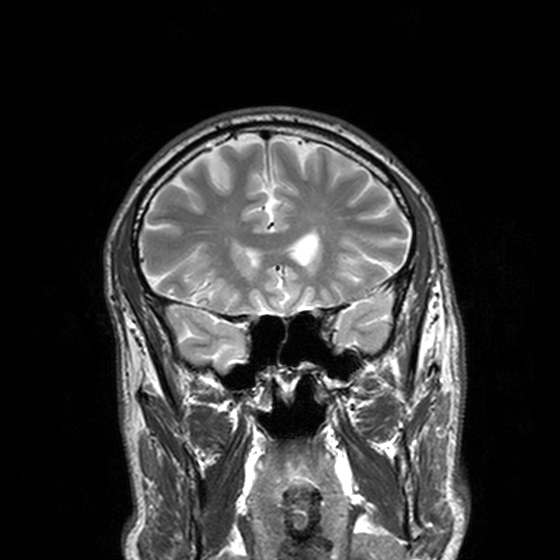
3 Tesla brain MRI.
Series: T2-weighted turbo spin echo, 3 mm.
Study: ring-enhancing brain masses.